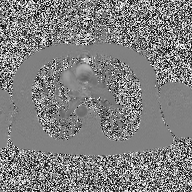
2D phase-contrast cine MRI of the ascending aorta, high-resolution GRAPPA acquisition.